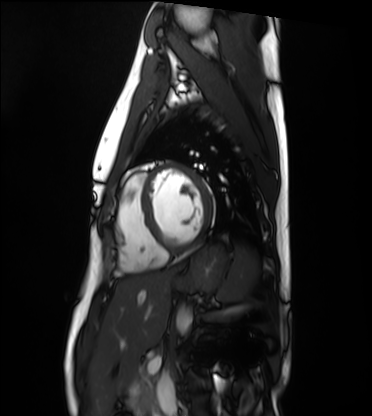
modality = cardiac MRI; subject group = healthy volunteer.